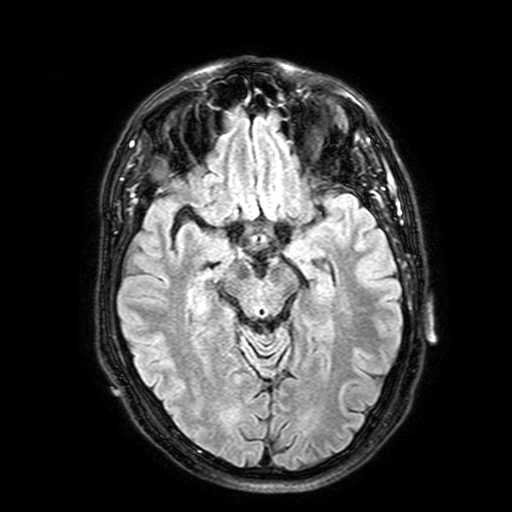
modality:
  type: brain MRI
  field_strength: 3T
series: FLAIR with SPAIR, 3 mm
study_topic: ring-enhancing brain masses